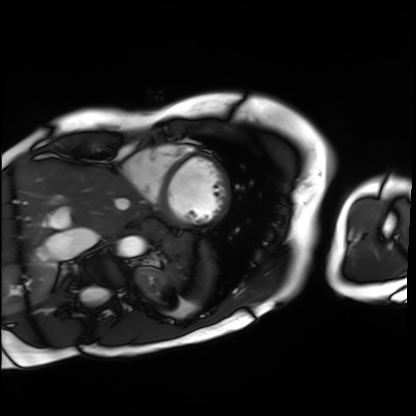
modality: cardiac MRI; subject group: patient.